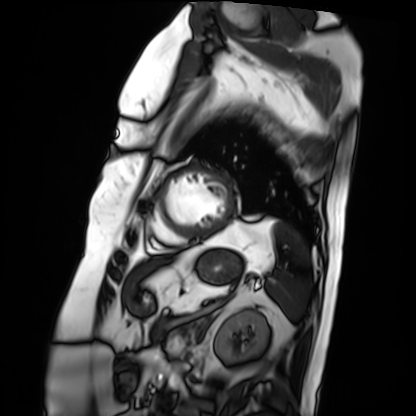
modality: cardiac MRI
subject group: patient